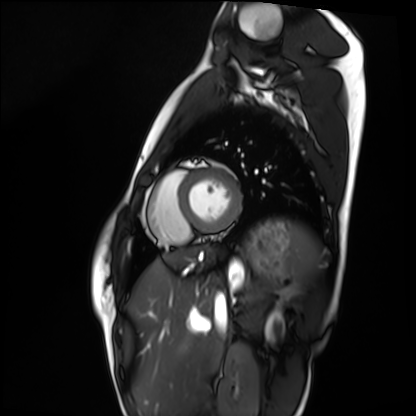
modality: cardiac MRI
cohort: healthy volunteer